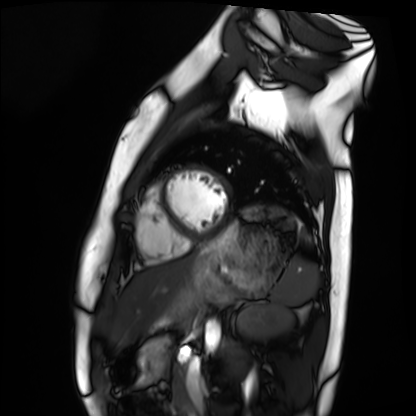
modality: cardiac MRI
cohort: healthy volunteer